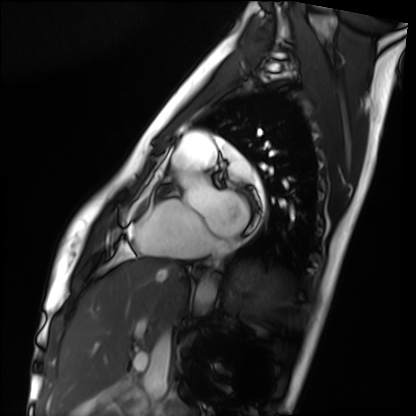
Cardiac MRI. Subject group: healthy volunteer.